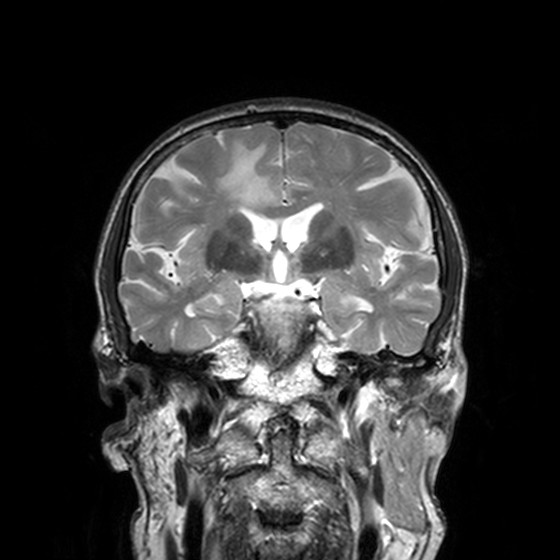
Q: What kind of scan is this?
A: 3 Tesla brain MRI.
Q: Series?
A: T2-weighted turbo spin echo, 3 mm.
Study: ring-enhancing brain masses.